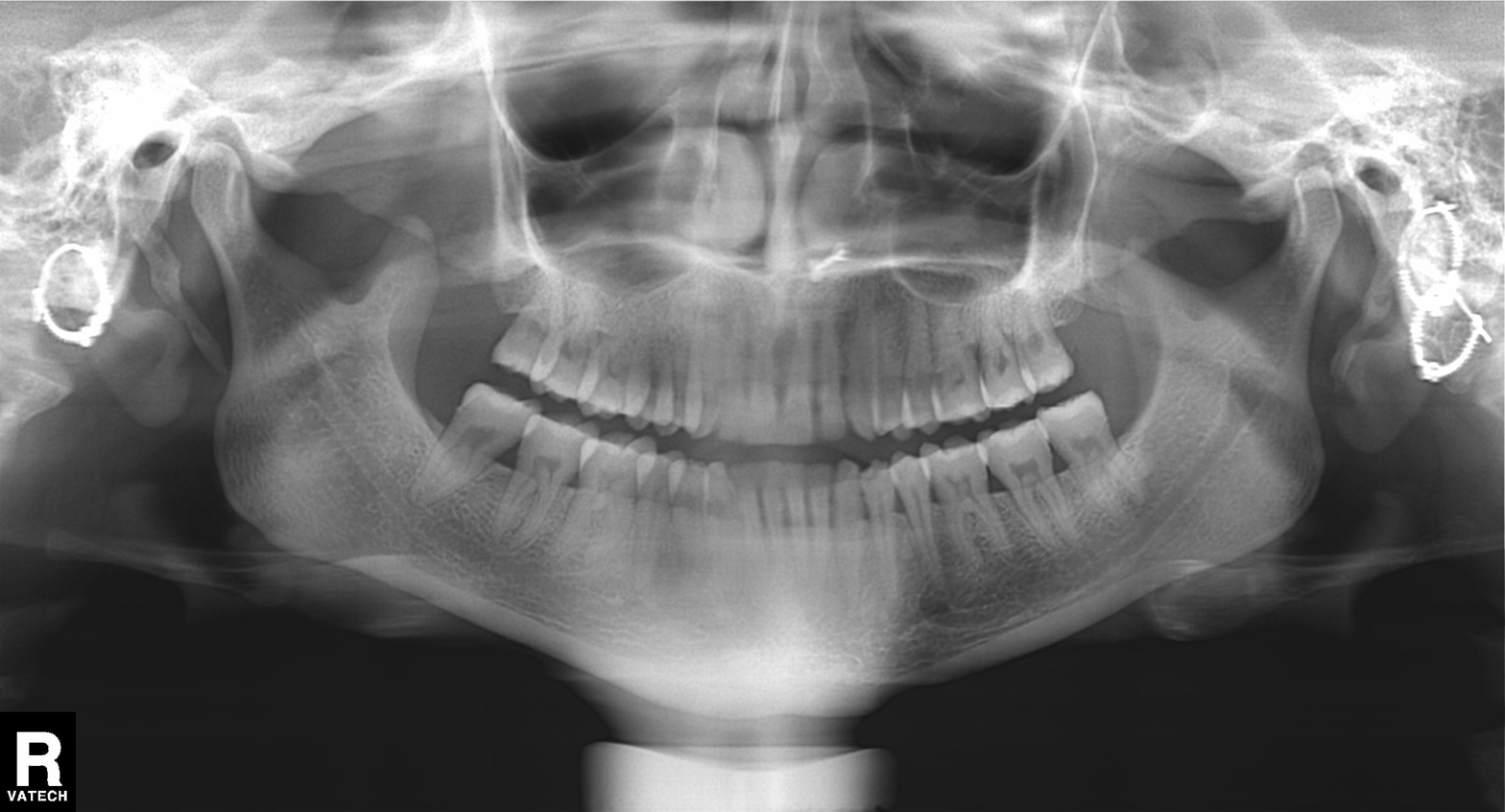
<record>
  <modality>panoramic dental radiograph (orthopantomogram)</modality>
  <finding>dental caries (cavities)</finding>
</record>